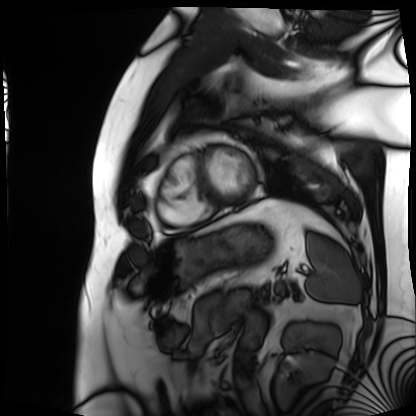
modality: cardiac MRI; subject group: patient.